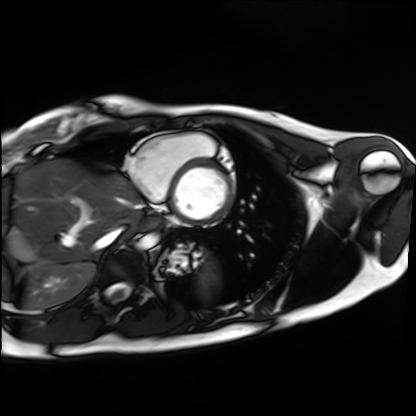
| field | value |
|---|---|
| modality | cardiac MRI |
| subject group | healthy volunteer |